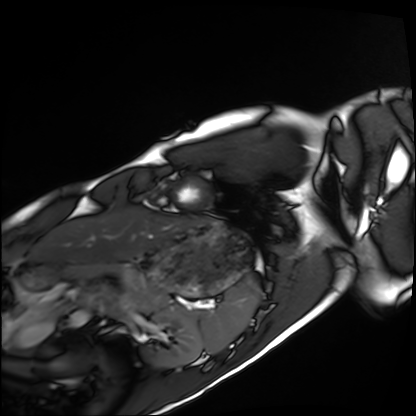
Clinical context:
Cardiac MRI. Subject group: healthy volunteer.